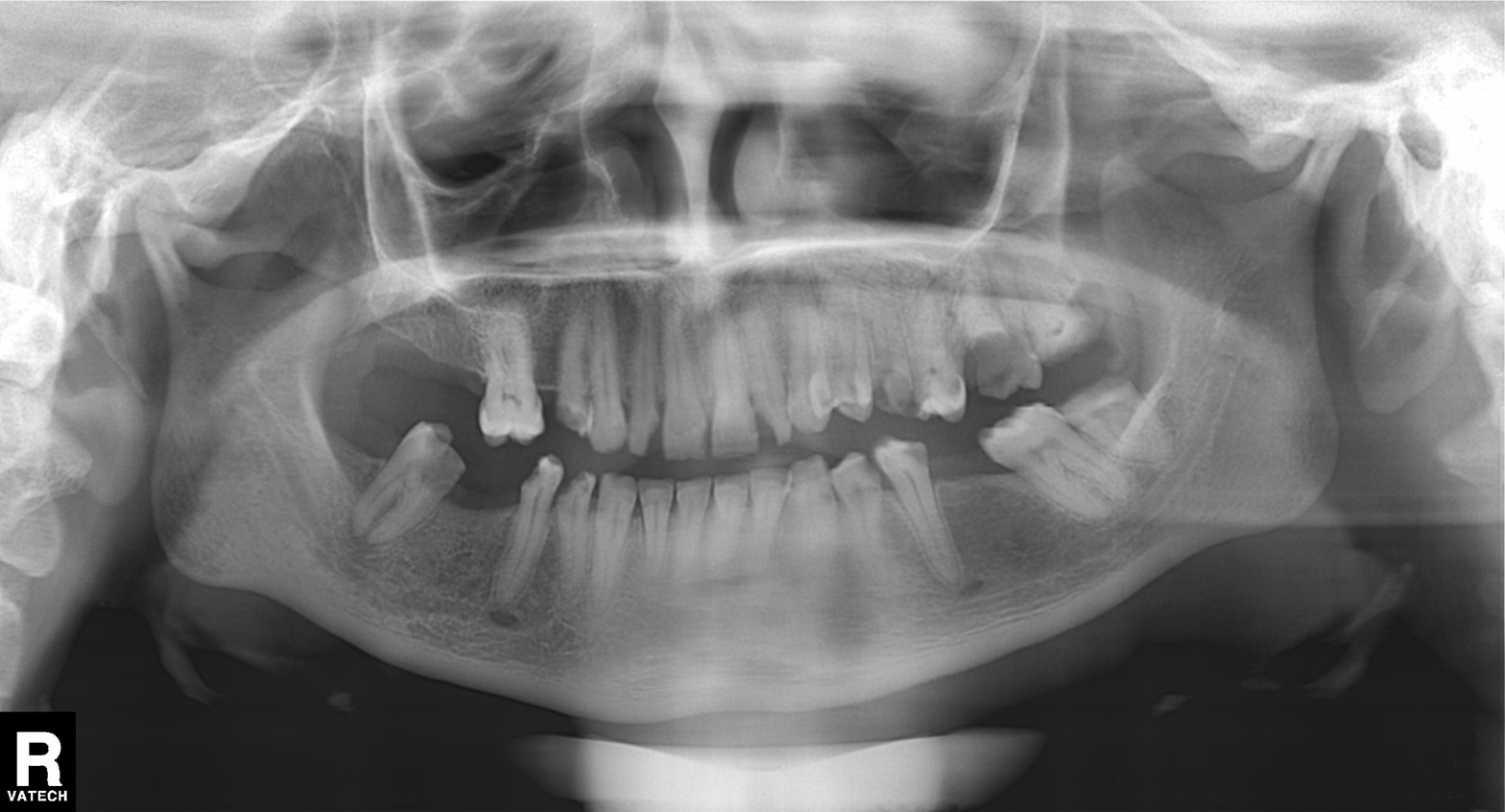
  modality: panoramic dental radiograph (orthopantomogram)
  finding: tooth impaction